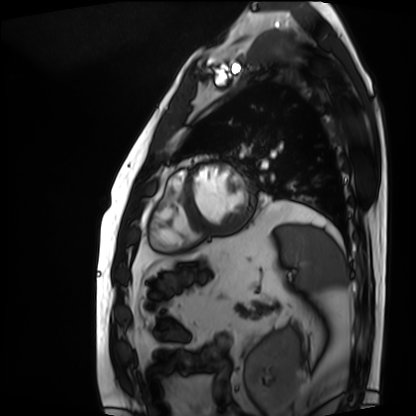
modality: cardiac MRI
cohort: patient